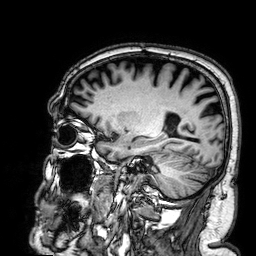
Clinical context:
3 Tesla brain MRI. Series: 3D T1-weighted. Study: ring-enhancing brain masses.